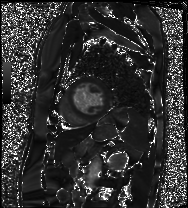
Cardiac MRI. Subject group: patient.